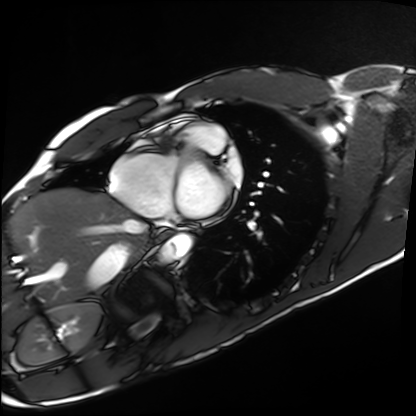
Cardiac MRI.
Subject group: healthy volunteer.